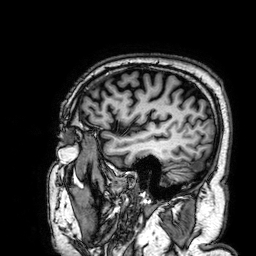
modality: 3 Tesla brain MRI; series: 3D T1-weighted; study: ring-enhancing brain masses.